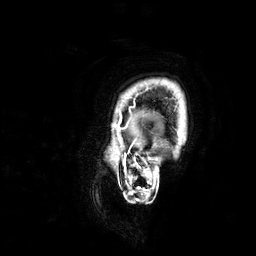
modality:
  type: brain MRI
  field_strength: 3T
series: 3D T1-weighted
study_topic: ring-enhancing brain masses